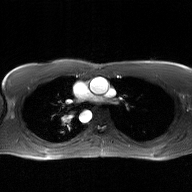
2D phase-contrast cine MRI of the ascending aorta, GAN super-resolution reconstruction.